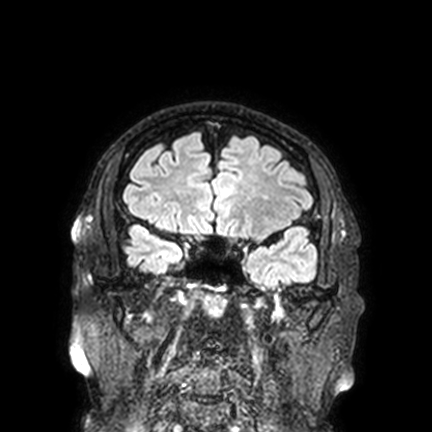
modality — 3 Tesla brain MRI
series — FLAIR VISTA with SENSE
study — ring-enhancing brain masses